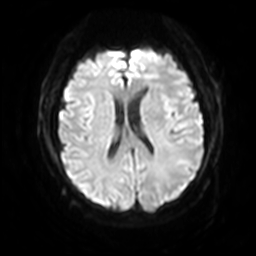
* modality: 3 Tesla brain MRI
* series: diffusion-weighted imaging with SENSE (WIP)
* study: ring-enhancing brain masses